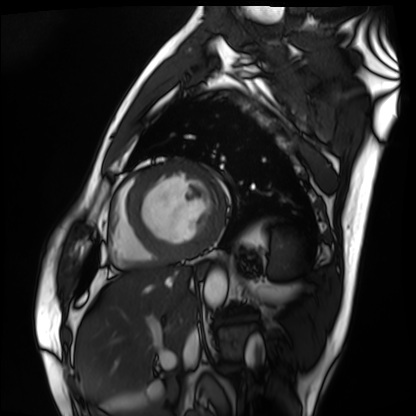
Summary:
Cardiac MRI. Subject group: patient.